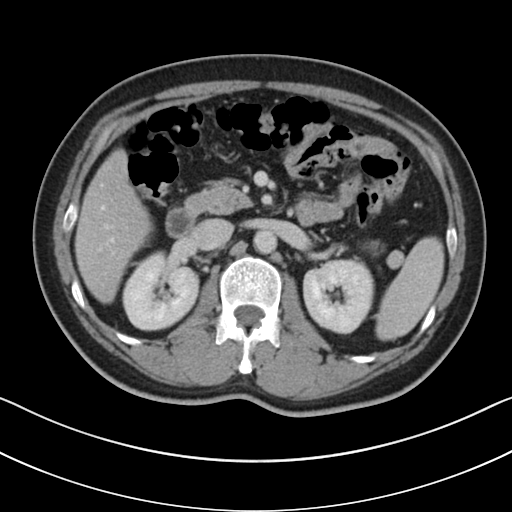
Multiphase abdominal CT, liver, portal venous phase.